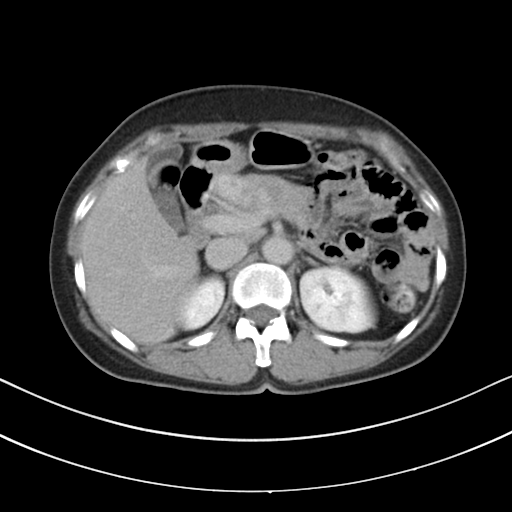
Clinical context: Multiphase abdominal CT, liver, delayed phase. Patient: female, age 61.